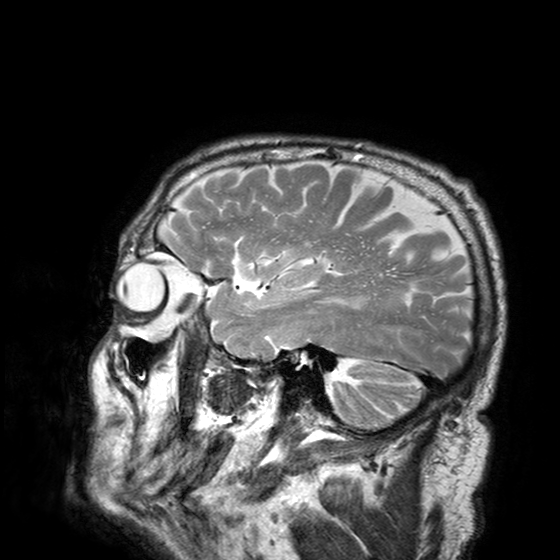
Q: What kind of scan is this?
A: 3 Tesla brain MRI.
Q: Series?
A: T2-weighted turbo spin echo with SENSE.
Study: ring-enhancing brain masses.